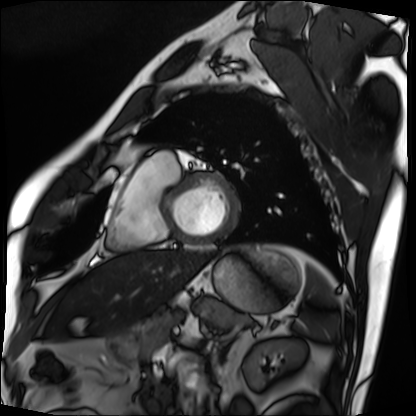
Cardiac MRI.
Subject group: patient.